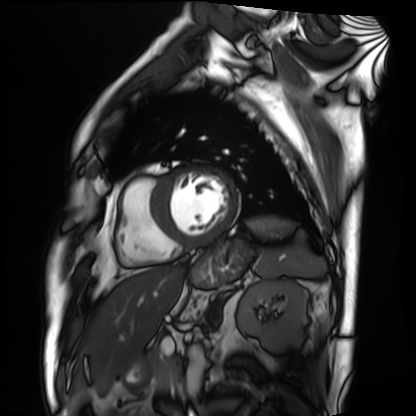
Summary:
Cardiac MRI. Subject group: patient.